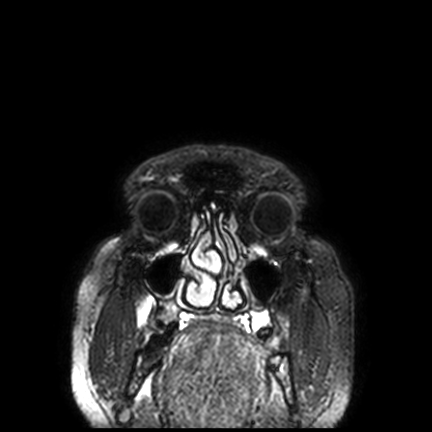
Summary:
3 Tesla brain MRI. Series: FLAIR VISTA with SENSE. Study: ring-enhancing brain masses.